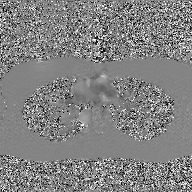
Case summary: 2D phase-contrast cine MRI of the ascending aorta, GAN super-resolution reconstruction.